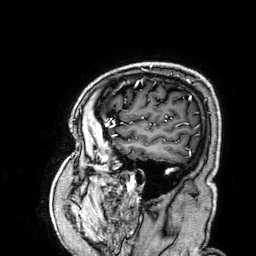
modality = 3 Tesla brain MRI | series = 3D T1-weighted | study = ring-enhancing brain masses.